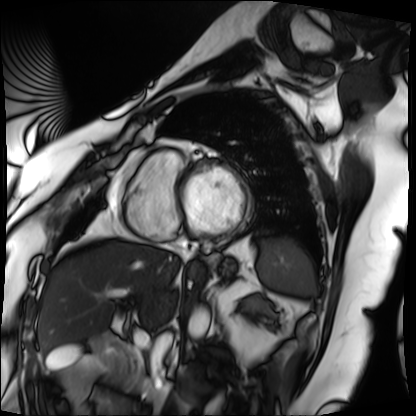
Cardiac MRI.
Subject group: patient.